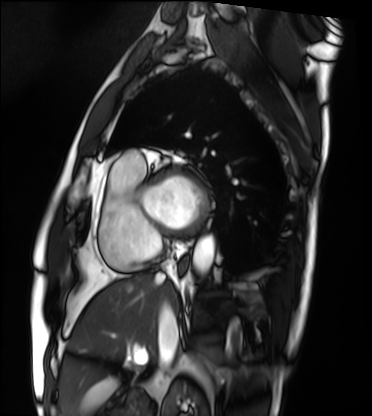
Clinical context:
Cardiac MRI. Subject group: patient.